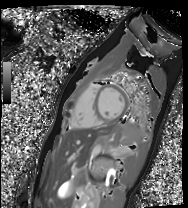
Cardiac MR image of the myocardium.
Subject cohort: healthy volunteer.